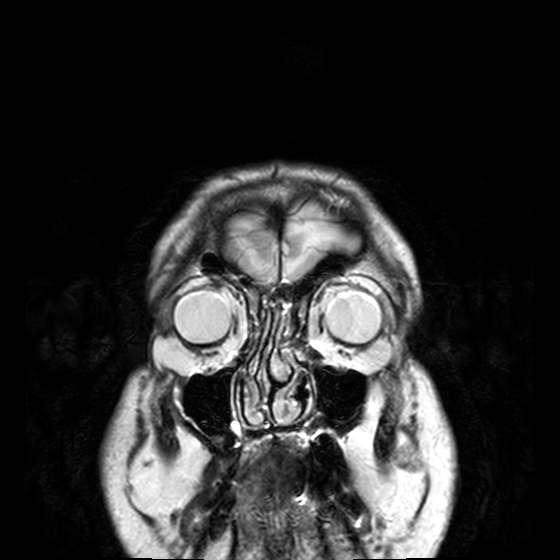
Case summary:
3 Tesla brain MRI. Series: T2-weighted turbo spin echo, 3 mm. Study: ring-enhancing brain masses.